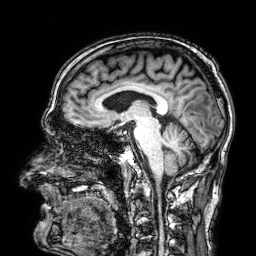
3 Tesla brain MRI. Series: 3D T1-weighted. Study: ring-enhancing brain masses.